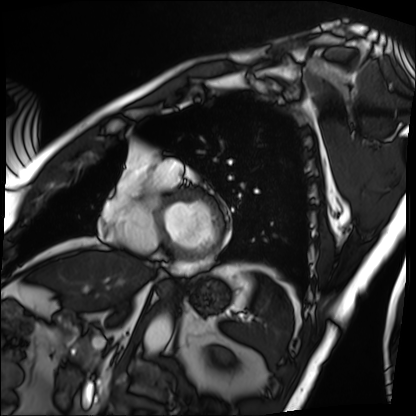
Cardiac MRI.
Subject group: patient.